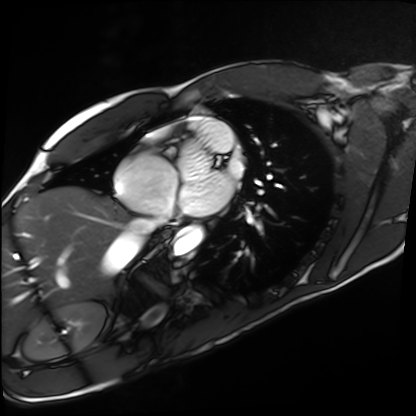
Summary:
Cardiac MRI. Subject group: healthy volunteer.